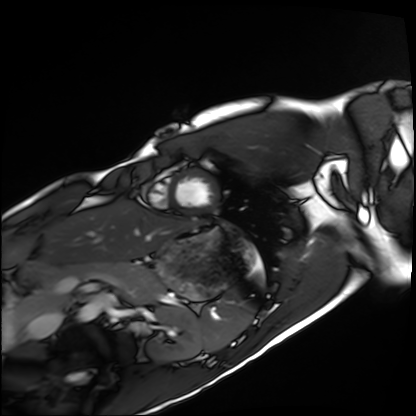
* modality · cardiac MRI
* subject group · healthy volunteer